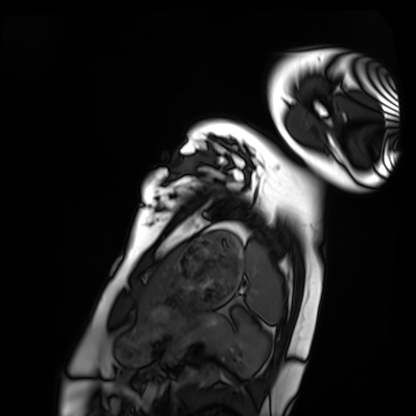
modality = cardiac MRI
subject group = healthy volunteer